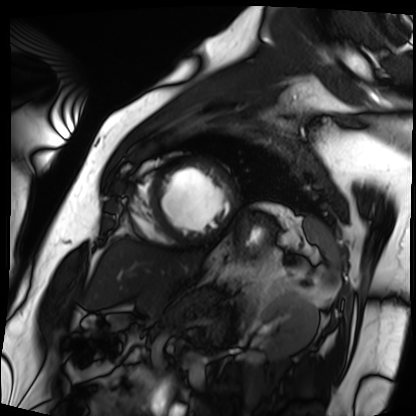
Cardiac MRI. Subject group: patient.